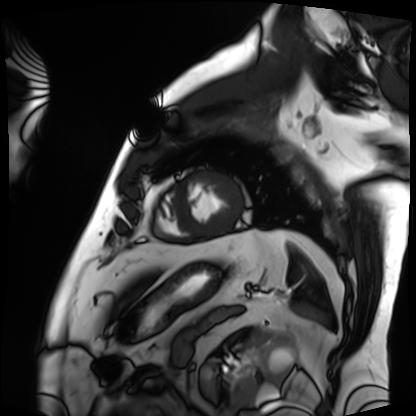
Clinical context:
Cardiac MRI. Subject group: patient.